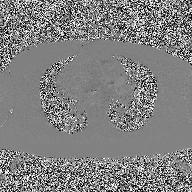
Q: What kind of scan is this?
A: 2D phase-contrast cine MRI of the ascending aorta.